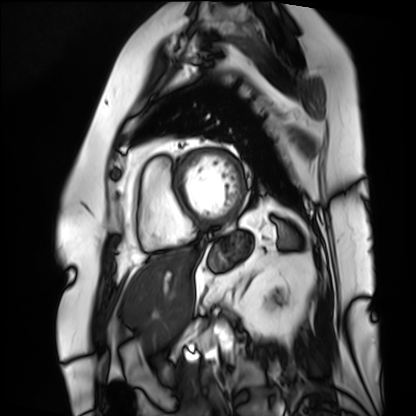
Cardiac MRI.
Subject group: patient.